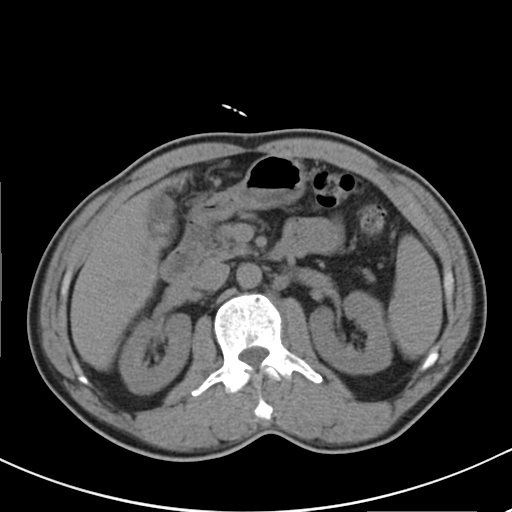
modality: multiphase abdominal CT, liver, non-contrast phase; patient: male, age 52; history: cirrhosis, viral hepatitis.